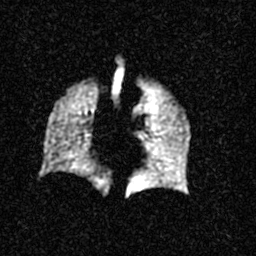
Hyperpolarized 129Xe ventilation MRI of the lungs. SNR level 3 of 8 (the deposit holds this scan as its native image and as seven SNR-degraded versions).